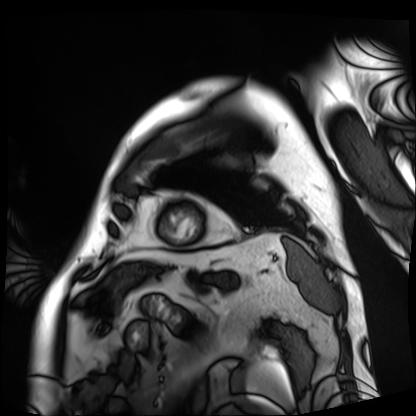
Clinical context: Cardiac MRI. Subject group: patient.